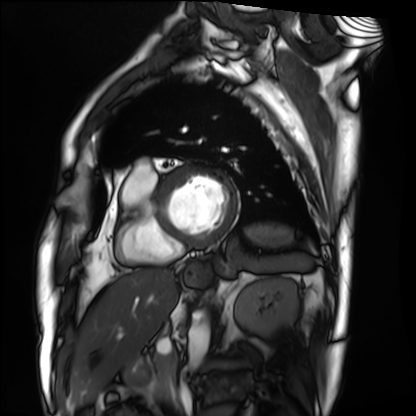
Cardiac MRI.
Subject group: patient.